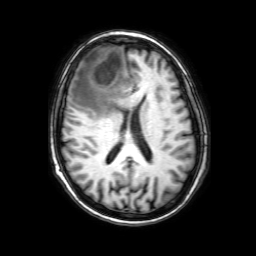
3 Tesla brain MRI.
Series: 3D T1-weighted with SENSE.
Study: ring-enhancing brain masses.